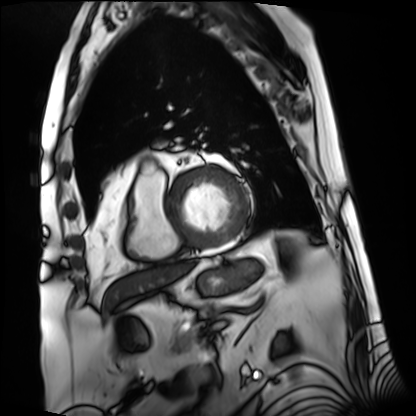
Cardiac MRI.
Subject group: patient.